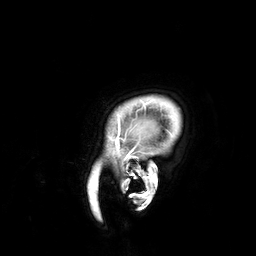
3 Tesla brain MRI.
Series: 3D T1-weighted.
Study: ring-enhancing brain masses.